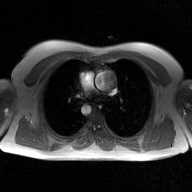
Q: What kind of scan is this?
A: 2D phase-contrast cine MRI of the ascending aorta, GAN super-resolution reconstruction.